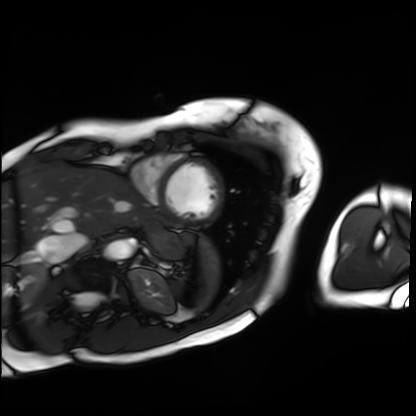
<case>
<modality>cardiac MRI</modality>
<cohort>patient</cohort>
</case>